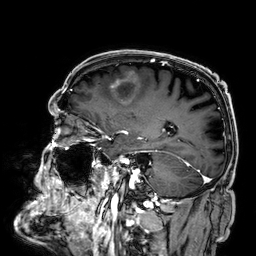
{"modality": {"type": "brain MRI", "field_strength": "3T"}, "series": "3D T1-weighted", "study_topic": "ring-enhancing brain masses"}